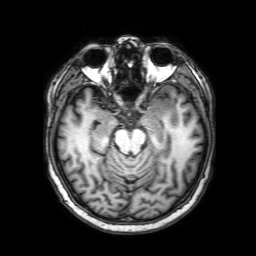
Summary:
3 Tesla brain MRI. Series: 3D T1-weighted with SENSE. Study: ring-enhancing brain masses.